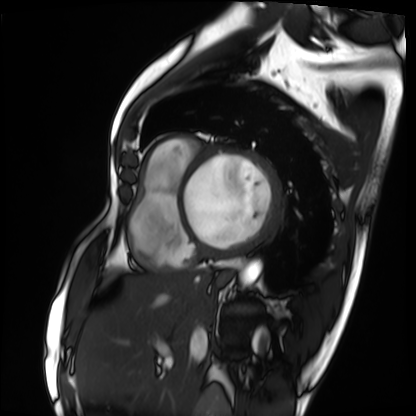
Clinical context: Cardiac MRI. Subject group: patient.